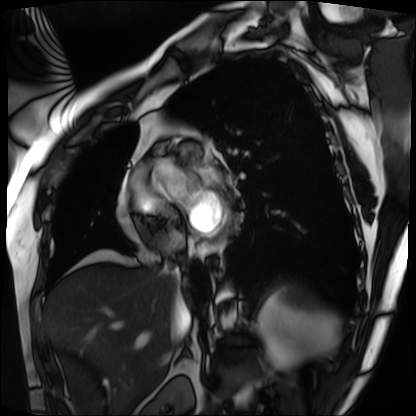
Cardiac MRI. Subject group: patient.